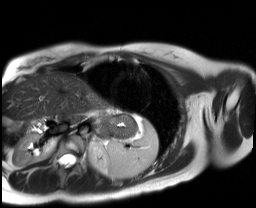
Case:
– modality · cardiac MR image of the myocardium
– subject cohort · healthy volunteer